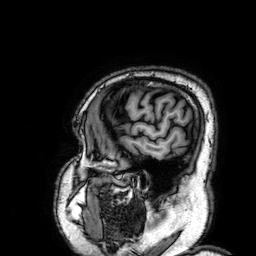
Clinical context: 3 Tesla brain MRI. Series: 3D T1-weighted. Study: ring-enhancing brain masses.